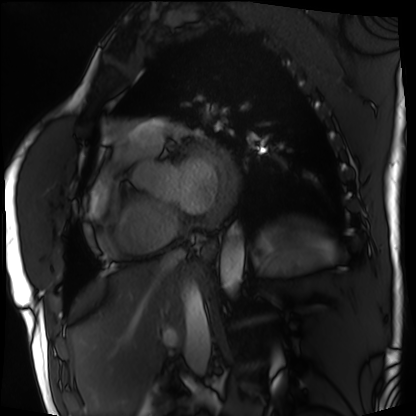
Cardiac MRI. Subject group: patient.